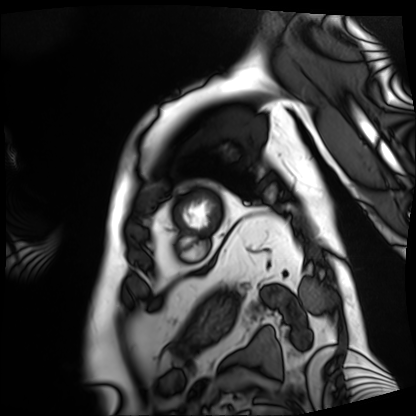
{
  "modality": "cardiac MRI",
  "cohort": "patient"
}